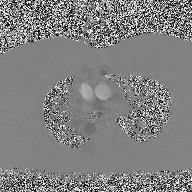
modality = 2D phase-contrast cine MRI of the ascending aorta.